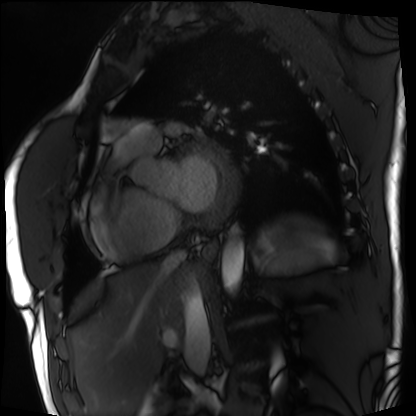
Cardiac MRI.
Subject group: patient.